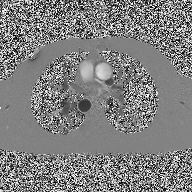
{"modality": {"type": "2D phase-contrast cine MRI", "region": "ascending aorta", "reconstruction": "high-resolution GRAPPA acquisition"}}